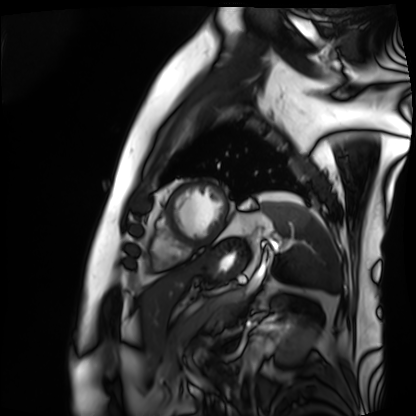
Q: What kind of scan is this?
A: Cardiac MRI.
Subject group: patient.